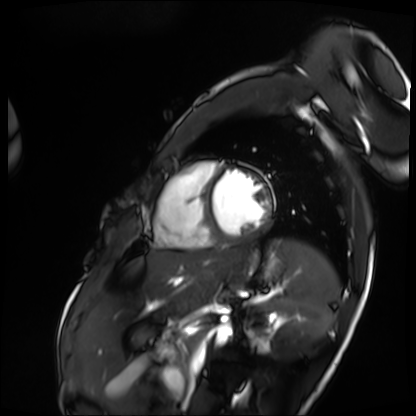
Q: What kind of scan is this?
A: Cardiac MRI.
Subject group: patient.